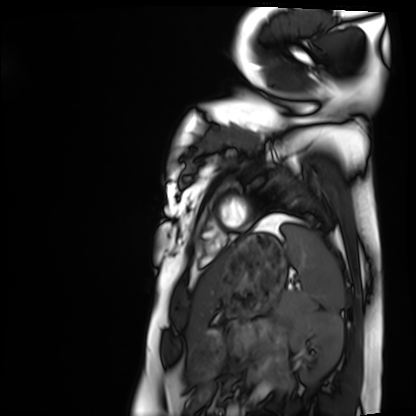
Case:
• modality · cardiac MRI
• subject group · healthy volunteer